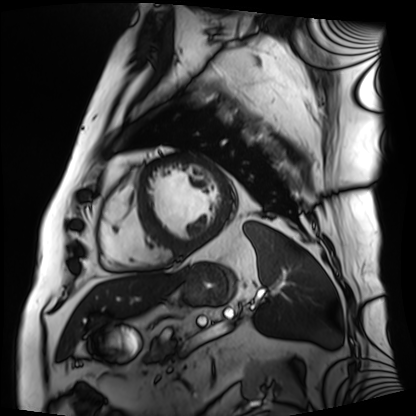
modality = cardiac MRI; subject group = patient.